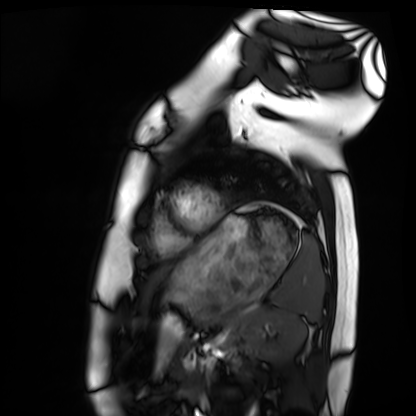
• modality: cardiac MRI
• subject group: healthy volunteer